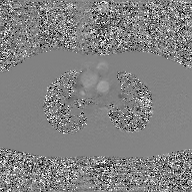
Q: What kind of scan is this?
A: 2D phase-contrast cine MRI of the ascending aorta, GAN super-resolution reconstruction.